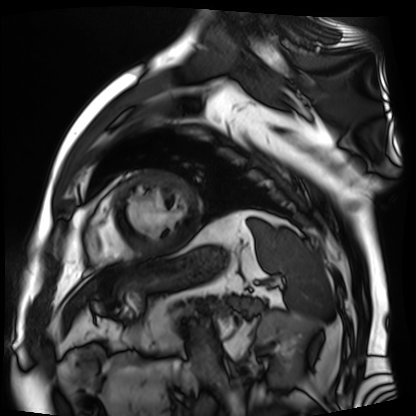
Case summary: Cardiac MR image of the myocardium. Subject cohort: cardiac patient.